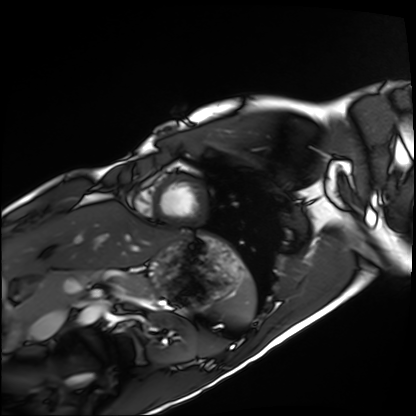
Summary: Cardiac MRI. Subject group: healthy volunteer.